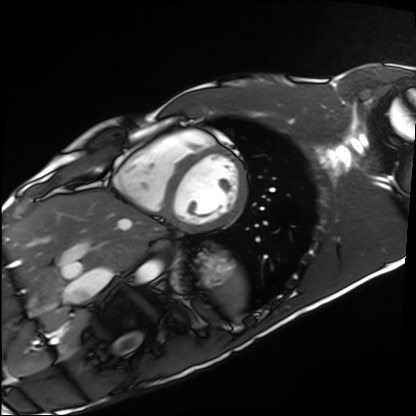
Cardiac MRI.
Subject group: healthy volunteer.